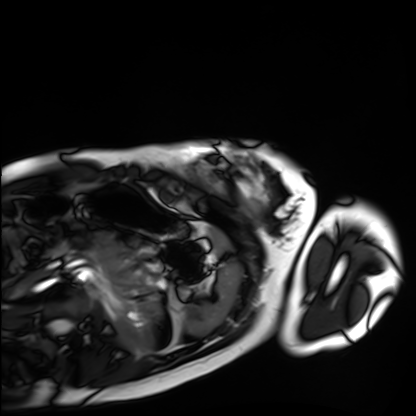
  modality: cardiac MRI
  cohort: healthy volunteer